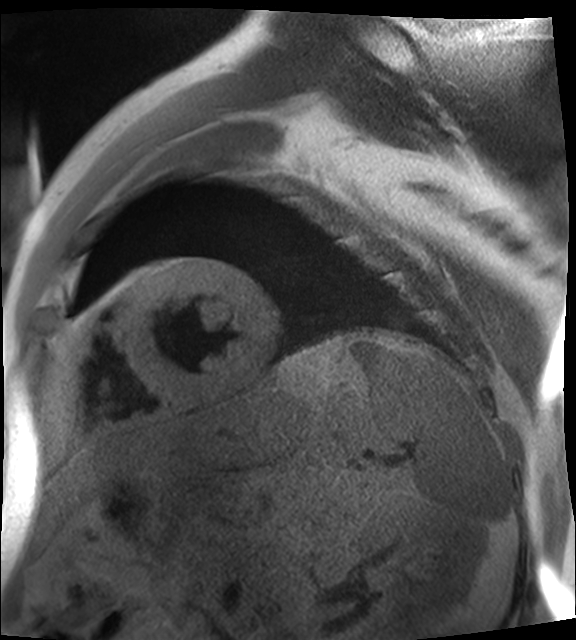
Cardiac MR image of the myocardium.
Subject cohort: cardiac patient.